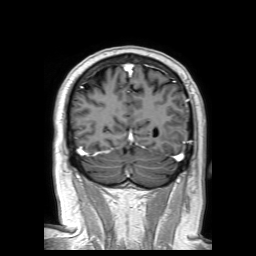
Q: What kind of scan is this?
A: 3 Tesla brain MRI.
Q: Series?
A: 3D T1-weighted TFE with SENSE.
Study: ring-enhancing brain masses.